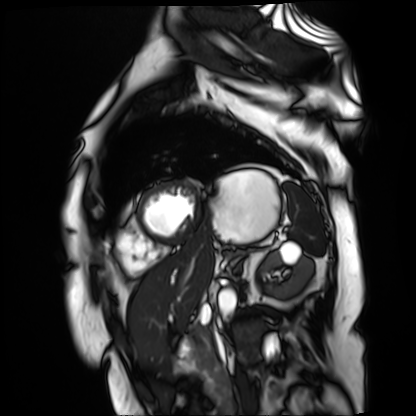
Cardiac MR image of the myocardium.
Subject cohort: cardiac patient.